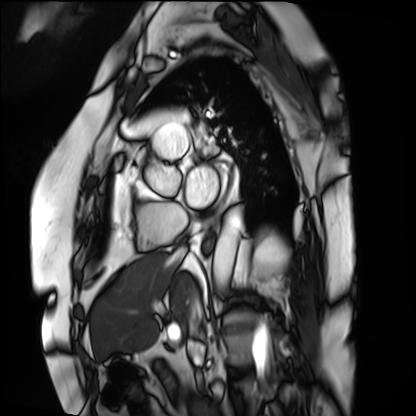
| field | value |
|---|---|
| modality | cardiac MRI |
| subject group | patient |